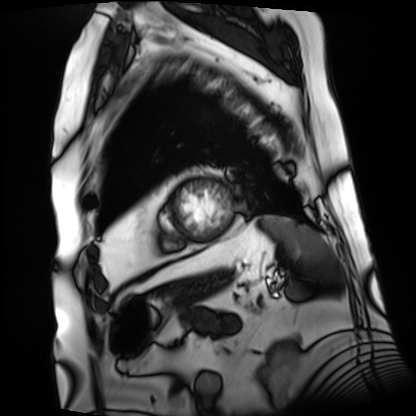
Case:
– modality — cardiac MRI
– subject group — patient